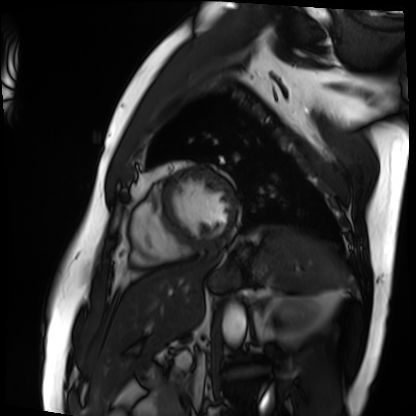
Cardiac MRI. Subject group: patient.